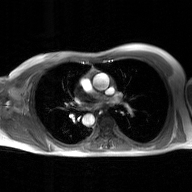
– modality — 2D phase-contrast cine MRI of the ascending aorta, GAN super-resolution reconstruction